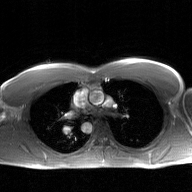
2D phase-contrast cine MRI of the ascending aorta, GAN super-resolution reconstruction.